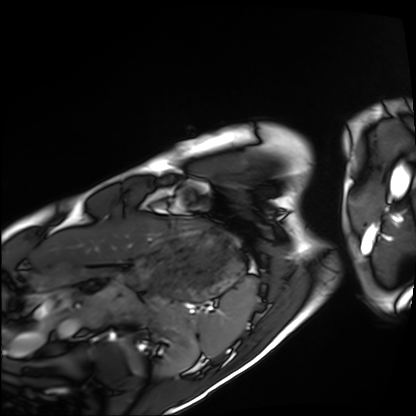
Cardiac MRI. Subject group: healthy volunteer.